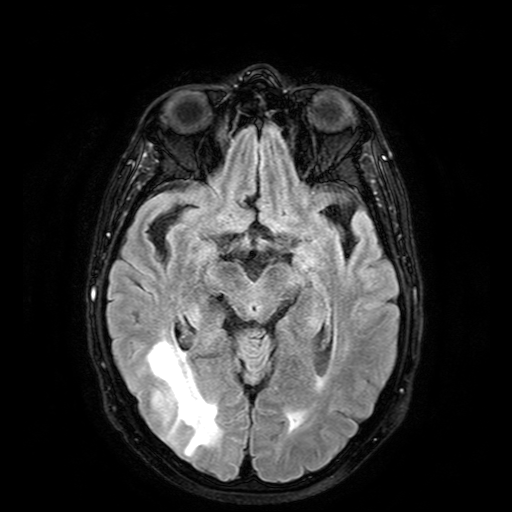
3 Tesla brain MRI.
Series: FLAIR with SPAIR.
Study: ring-enhancing brain masses.